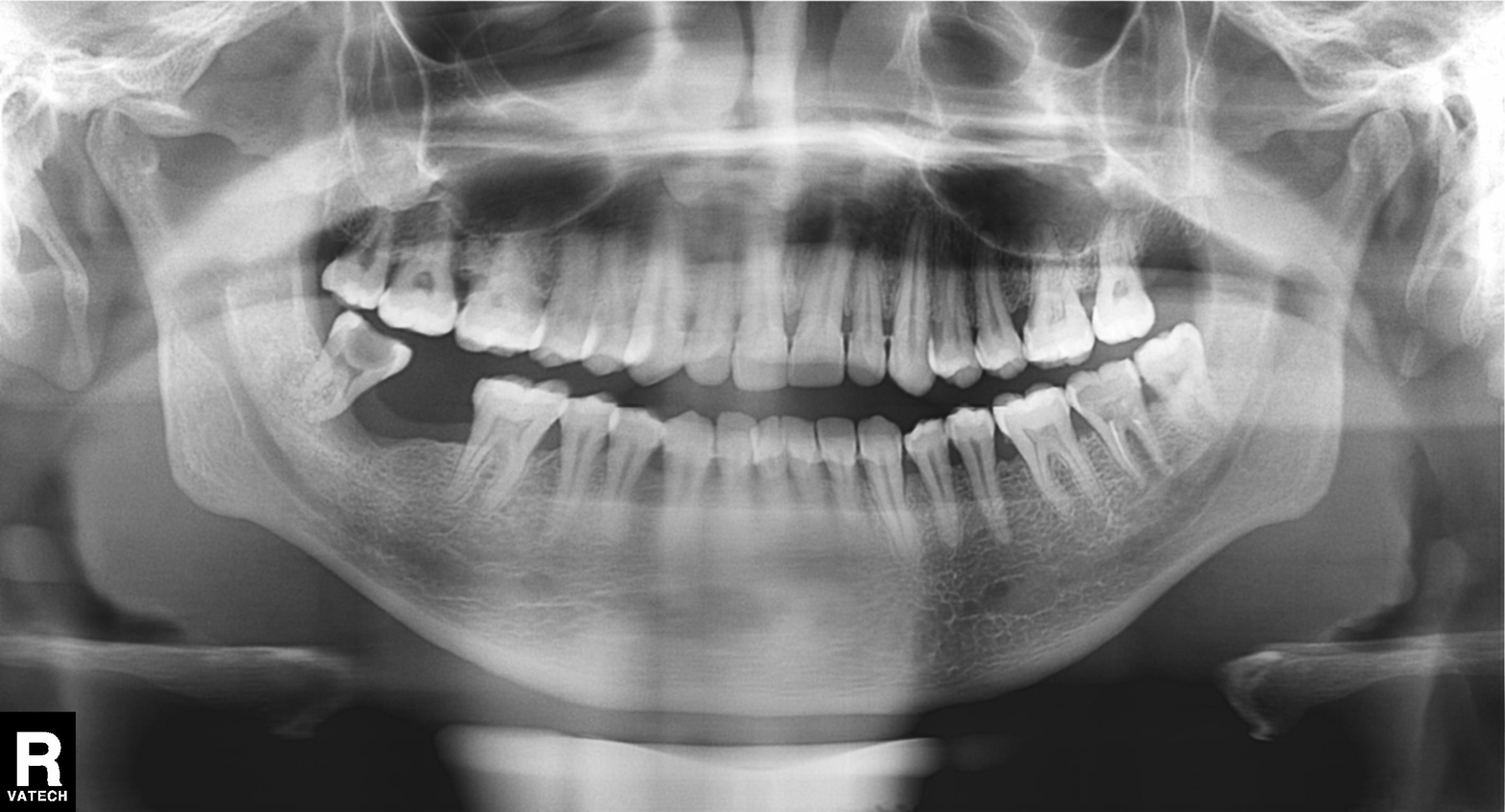
modality = panoramic dental radiograph (orthopantomogram); finding = tooth impaction.